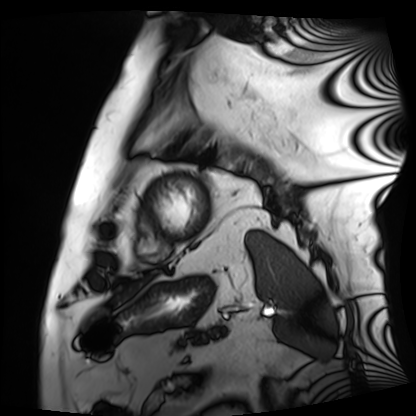
Cardiac MRI.
Subject group: patient.